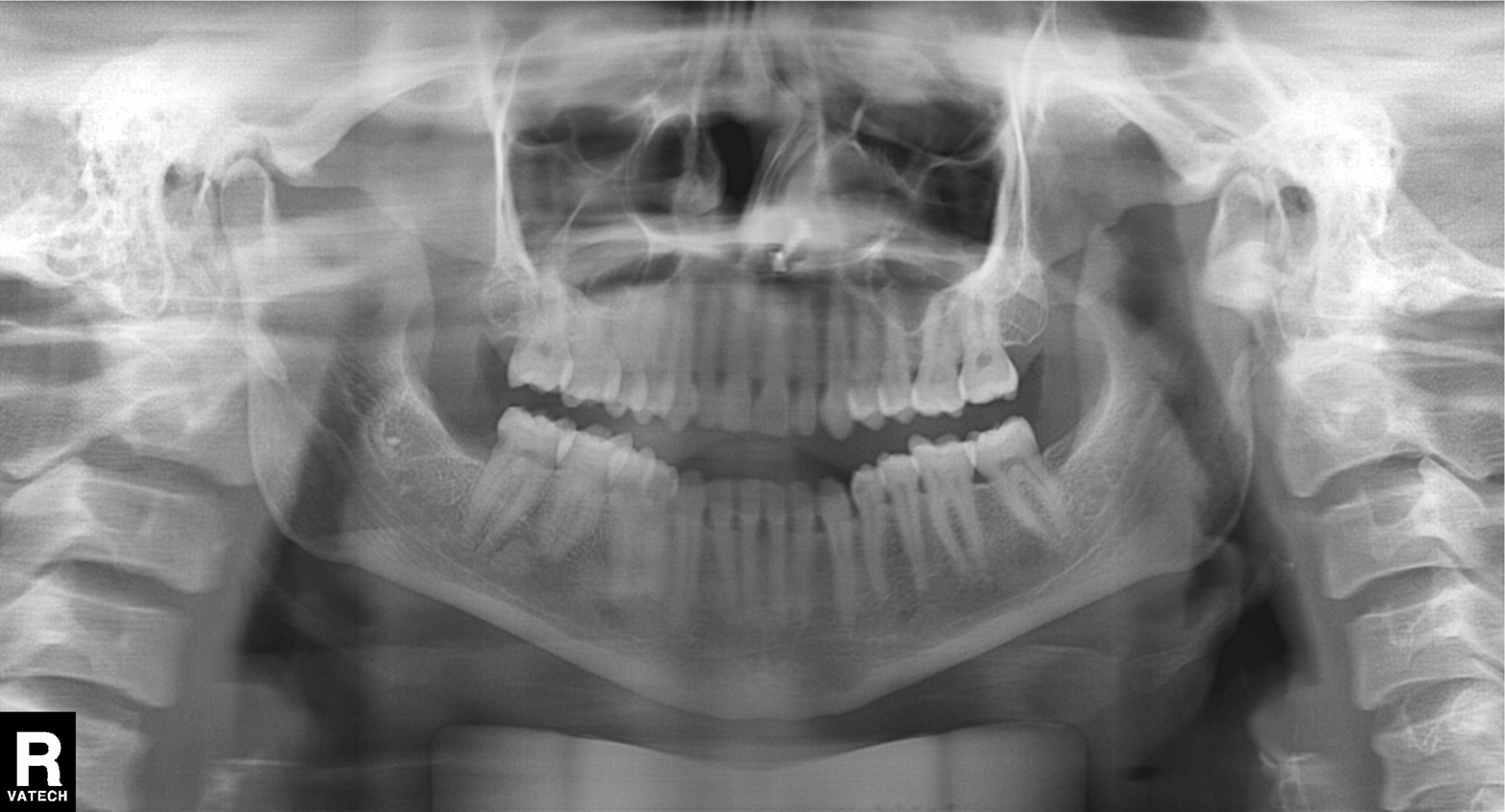
modality: panoramic dental radiograph (orthopantomogram)
finding: alveolar bone loss